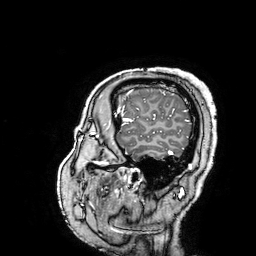
modality: 3 Tesla brain MRI; series: 3D T1-weighted turbo field echo with SENSE; study: ring-enhancing brain masses.